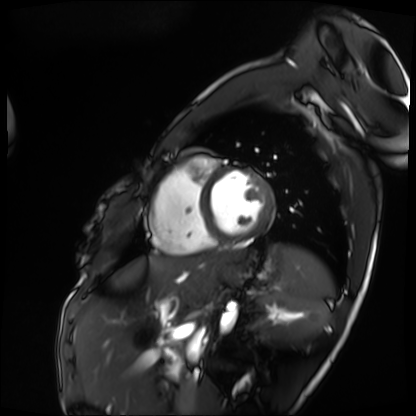
modality = cardiac MRI; subject group = patient.